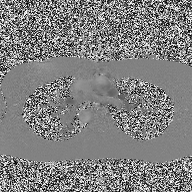
<record>
<modality>
  <type>2D phase-contrast cine MRI</type>
  <region>ascending aorta</region>
  <reconstruction>high-resolution GRAPPA acquisition</reconstruction>
</modality>
</record>